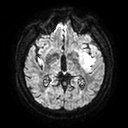
Case summary:
3 Tesla brain MRI. Series: diffusion tensor imaging (medium iso). Study: ring-enhancing brain masses.